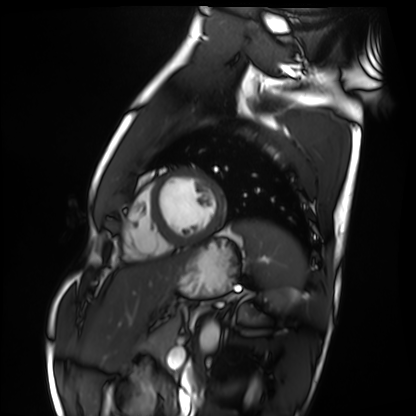
Case summary:
Cardiac MRI. Subject group: healthy volunteer.